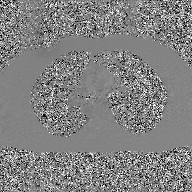
<case>
<modality>
  <type>2D phase-contrast cine MRI</type>
  <region>ascending aorta</region>
  <reconstruction>GAN super-resolution reconstruction</reconstruction>
</modality>
</case>